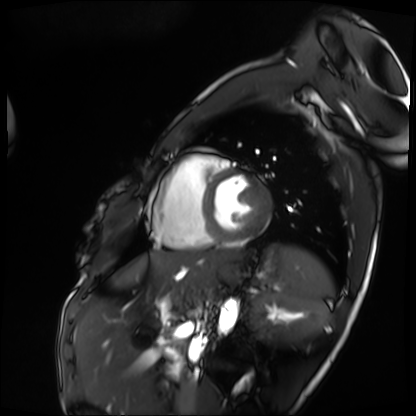
modality — cardiac MRI | subject group — patient.